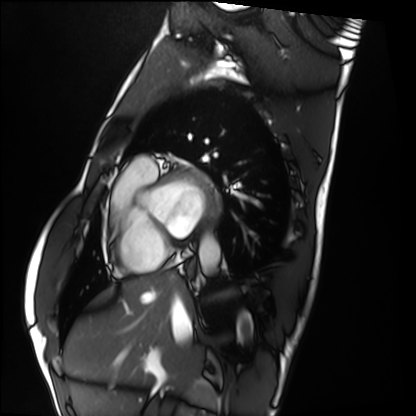
Cardiac MRI.
Subject group: healthy volunteer.